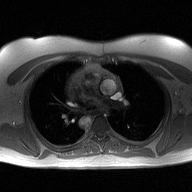
2D phase-contrast cine MRI of the ascending aorta, high-resolution GRAPPA acquisition.